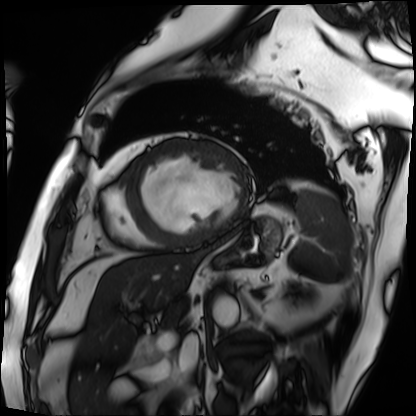
modality — cardiac MRI
subject group — patient